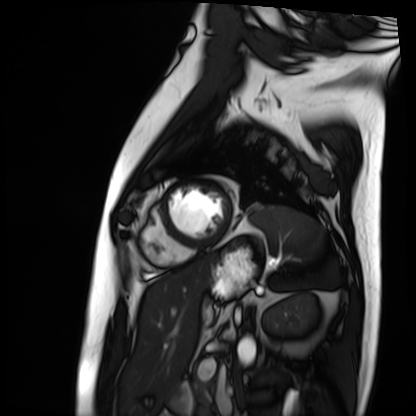
• modality · cardiac MRI
• subject group · patient